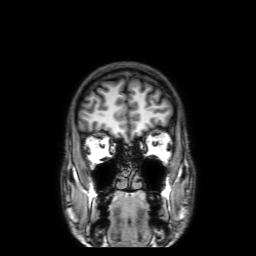
3 Tesla brain MRI. Series: 3D T1-weighted with SENSE. Study: ring-enhancing brain masses.